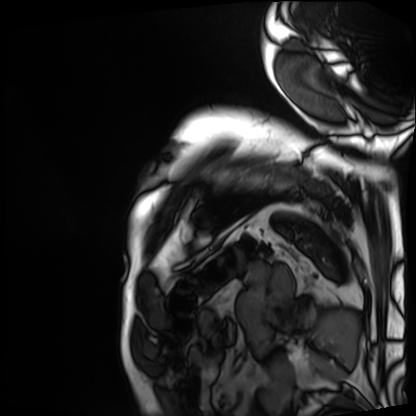
Clinical context: Cardiac MRI. Subject group: patient.